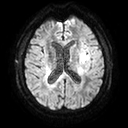
modality — 3 Tesla brain MRI
series — diffusion tensor imaging (medium iso)
study — ring-enhancing brain masses